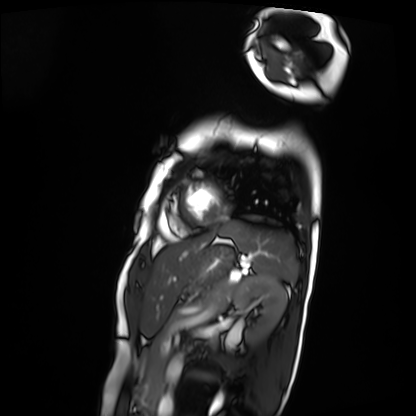
– modality — cardiac MRI
– subject group — patient